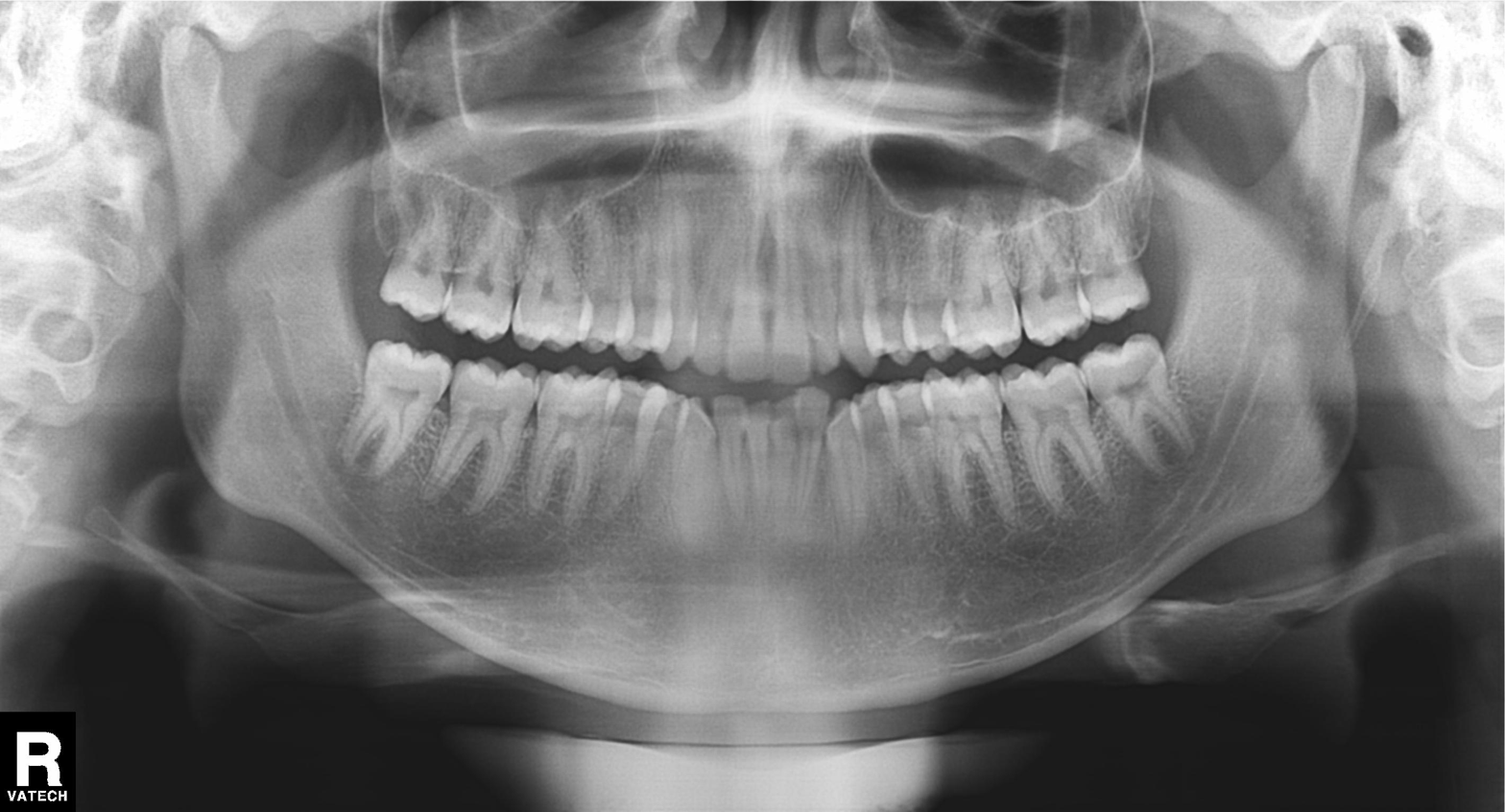
Q: What kind of scan is this?
A: Panoramic dental radiograph (orthopantomogram).
Q: What is the radiographic finding?
A: Tooth impaction.